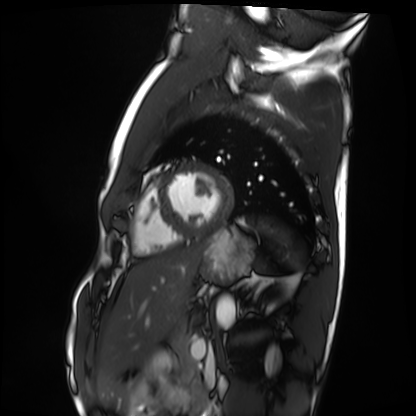
Cardiac MRI.
Subject group: healthy volunteer.